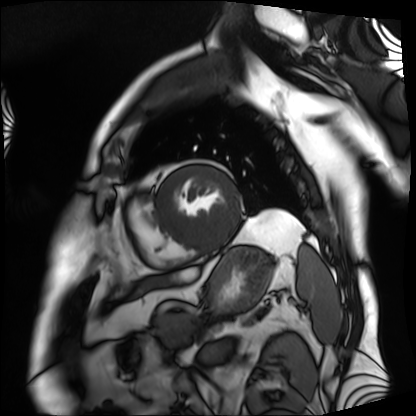
Cardiac MRI. Subject group: patient.